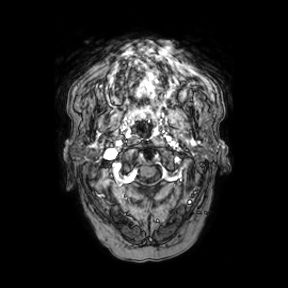
3 Tesla brain MRI.
Series: axial.
Study: ring-enhancing brain masses.